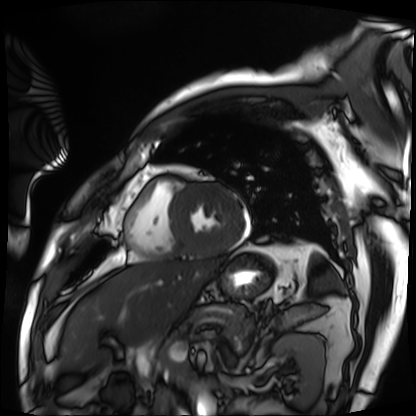
Cardiac MRI.
Subject group: patient.